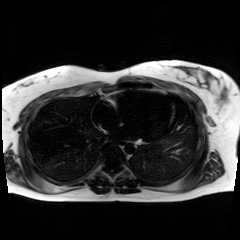
• modality: chemical-shift-encoded cardiac MRI